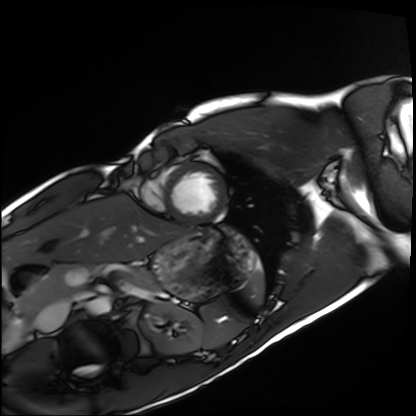
Cardiac MRI.
Subject group: healthy volunteer.